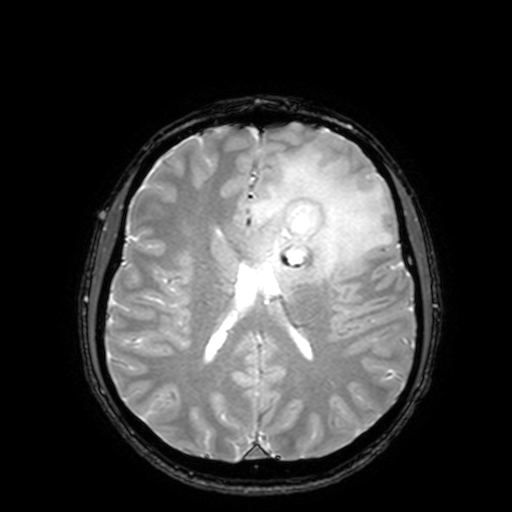
<study>
  <modality>
    <type>brain MRI</type>
    <field_strength>3T</field_strength>
  </modality>
  <series>T2-weighted fast field echo with SENSE</series>
  <study_topic>ring-enhancing brain masses</study_topic>
</study>